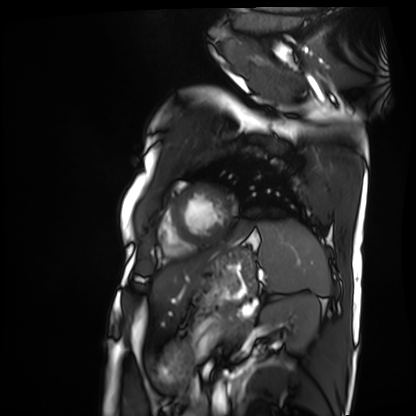
modality: cardiac MRI | subject group: patient.